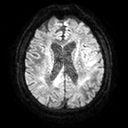
* modality: 3 Tesla brain MRI
* series: diffusion tensor imaging (medium iso)
* study: ring-enhancing brain masses